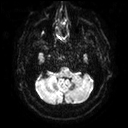
Clinical context:
3 Tesla brain MRI. Series: diffusion tensor imaging (medium iso). Study: ring-enhancing brain masses.